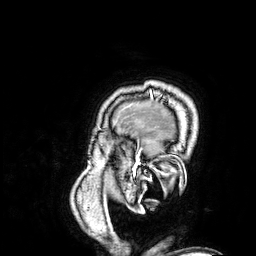
3 Tesla brain MRI. Series: 3D T1-weighted. Study: ring-enhancing brain masses.